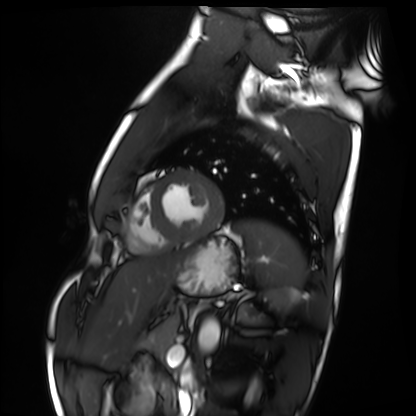
modality: cardiac MRI, subject group: healthy volunteer.